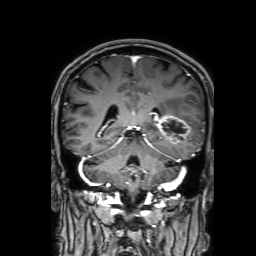
3 Tesla brain MRI. Series: 3D T1-weighted with SENSE. Study: ring-enhancing brain masses.